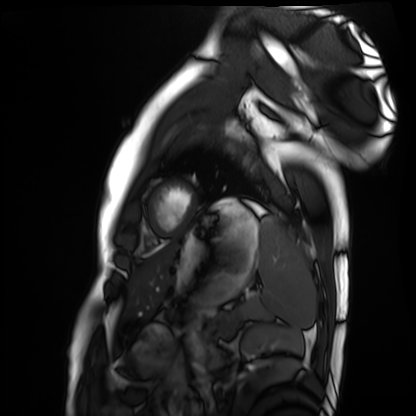
Cardiac MRI. Subject group: healthy volunteer.